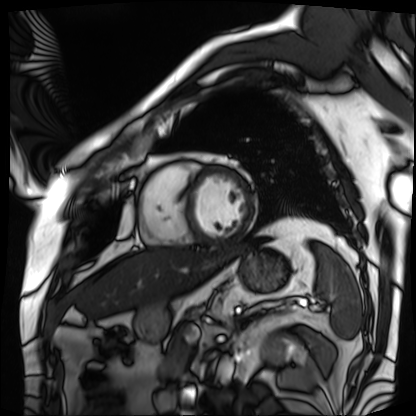
Q: What kind of scan is this?
A: Cardiac MRI.
Subject group: patient.